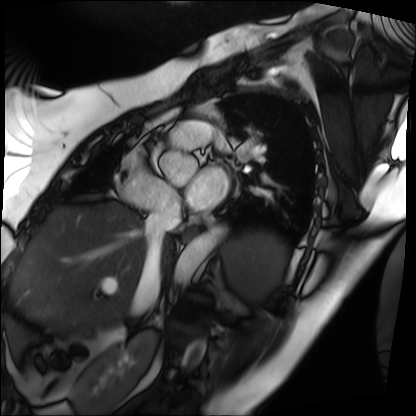
Summary: Cardiac MRI. Subject group: patient.